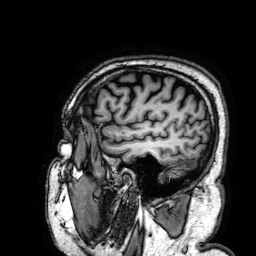
{"modality": {"type": "brain MRI", "field_strength": "3T"}, "series": "3D T1-weighted", "study_topic": "ring-enhancing brain masses"}